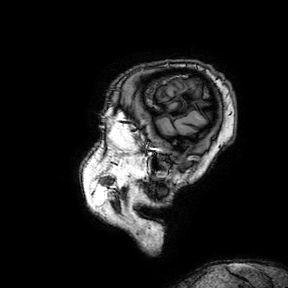
modality = 3 Tesla brain MRI | series = 3D T1-weighted turbo field echo with SENSE | study = ring-enhancing brain masses.